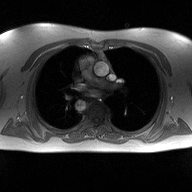
modality = 2D phase-contrast cine MRI of the ascending aorta